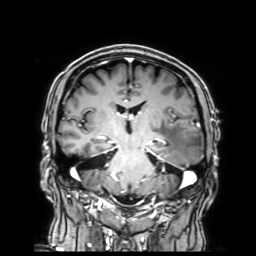
3 Tesla brain MRI. Series: 3D T1-weighted with SENSE. Study: ring-enhancing brain masses.